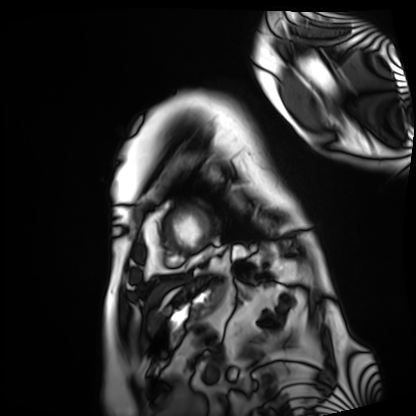
Case:
* modality · cardiac MRI
* subject group · patient